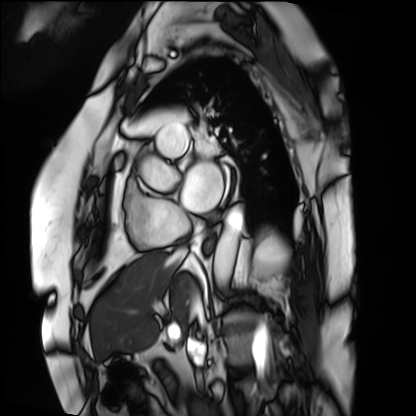
Case:
- modality · cardiac MRI
- subject group · patient